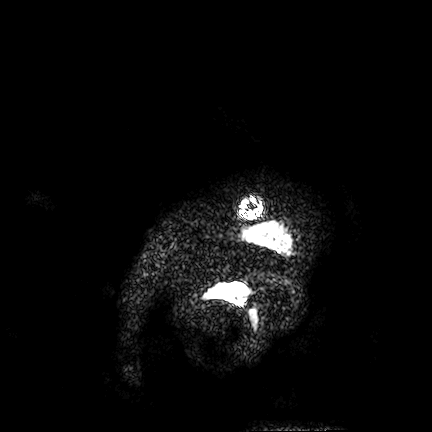
3 Tesla brain MRI.
Series: FLAIR VISTA.
Study: ring-enhancing brain masses.